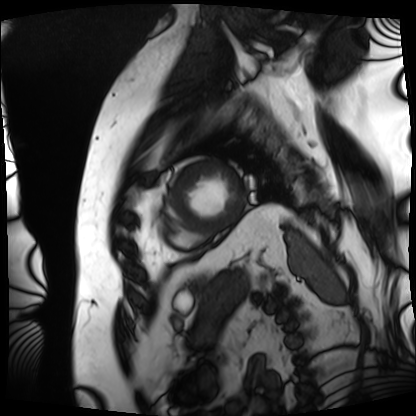
Q: What kind of scan is this?
A: Cardiac MRI.
Subject group: patient.